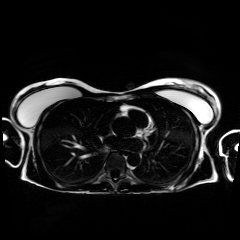
Chemical-shift-encoded cardiac MRI.